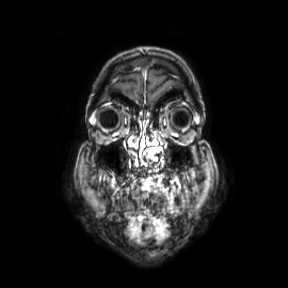
| field | value |
|---|---|
| modality | 3 Tesla brain MRI |
| series | coronal |
| study | ring-enhancing brain masses |